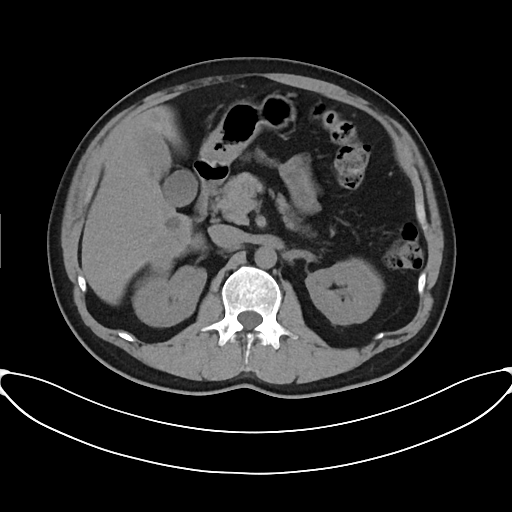
Summary:
Multiphase abdominal CT, liver, non-contrast phase. Patient: male, age 45.